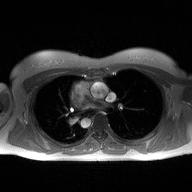
– modality — 2D phase-contrast cine MRI of the ascending aorta